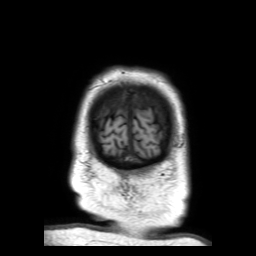
modality: 3 Tesla brain MRI; series: 3D T1-weighted TFE with SENSE; study: ring-enhancing brain masses.